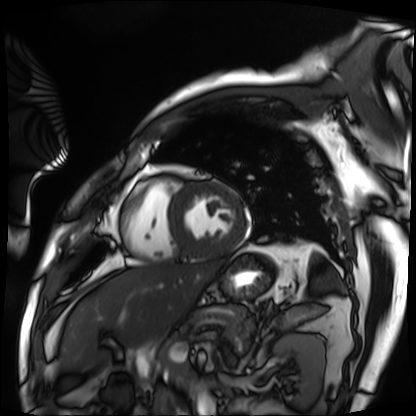
{"modality": "cardiac MRI", "cohort": "patient"}